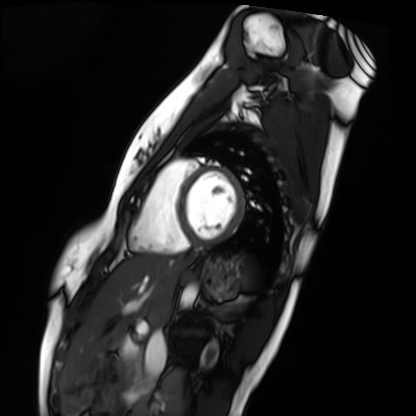
Summary:
Cardiac MRI. Subject group: healthy volunteer.